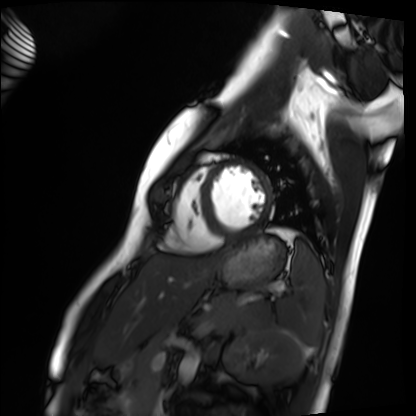
Cardiac MRI.
Subject group: healthy volunteer.